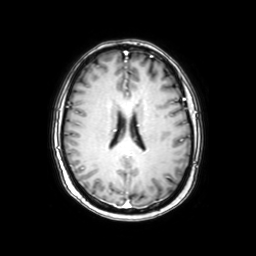
modality: 3 Tesla brain MRI
series: axial with contrast
study: ring-enhancing brain masses